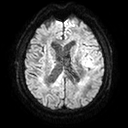
{
  "modality": {
    "type": "brain MRI",
    "field_strength": "3T"
  },
  "series": "diffusion tensor imaging (medium iso)",
  "study_topic": "ring-enhancing brain masses"
}